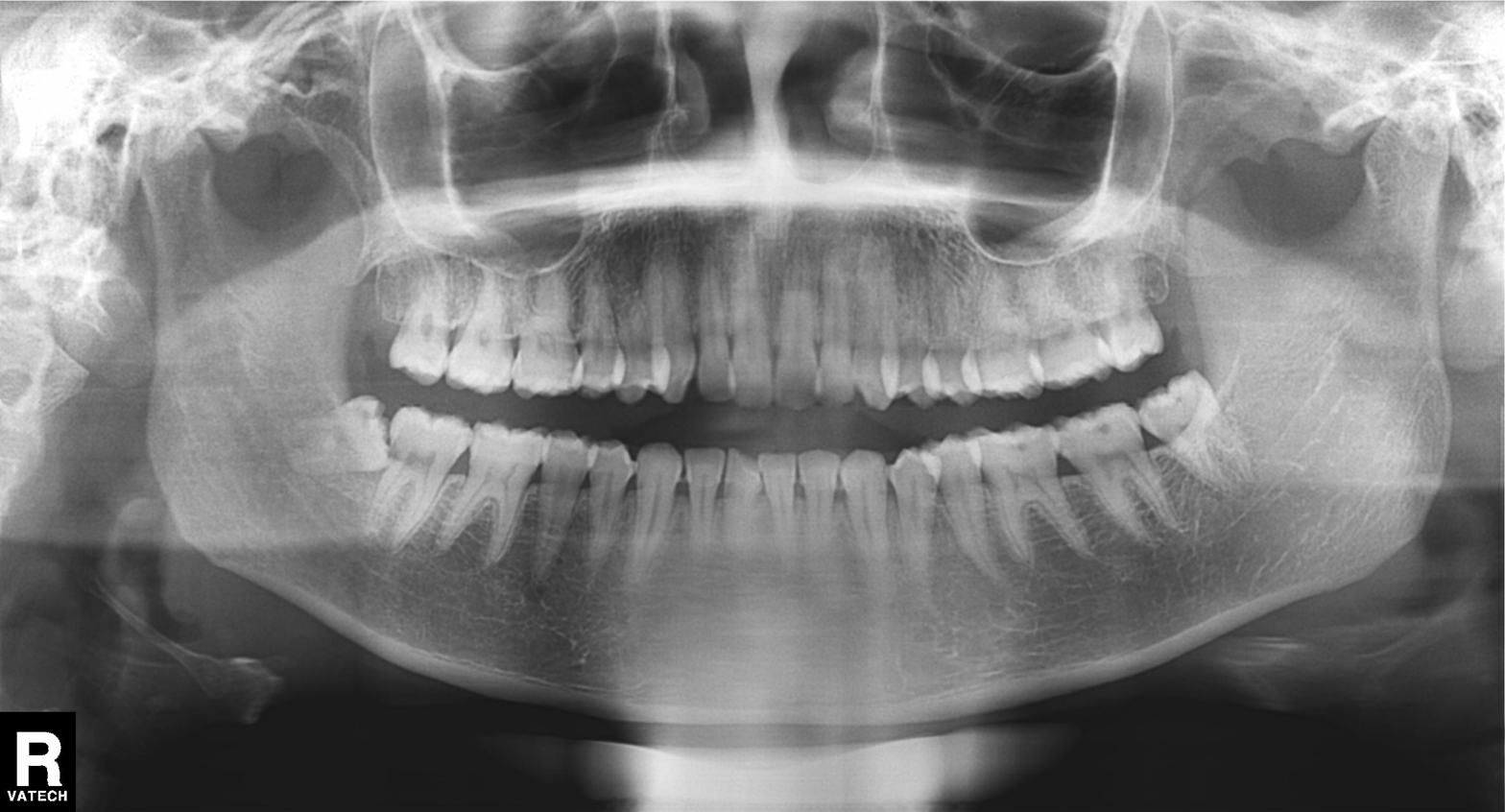
modality: panoramic dental radiograph (orthopantomogram) | finding: tooth impaction.